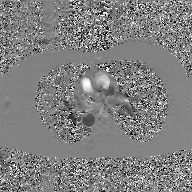
| field | value |
|---|---|
| modality | 2D phase-contrast cine MRI of the ascending aorta, GAN super-resolution reconstruction |